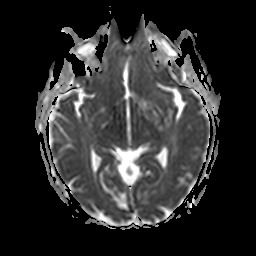
  modality:
    type: brain MRI
    field_strength: 3T
  series: apparent diffusion coefficient (ADC) map
  study_topic: ring-enhancing brain masses